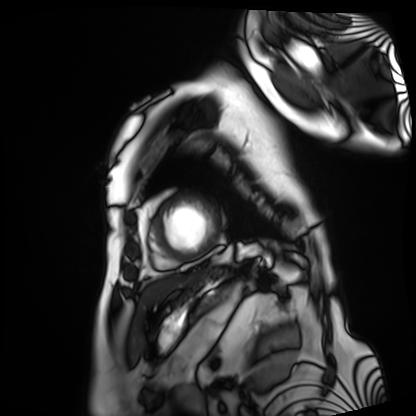
Summary: Cardiac MRI. Subject group: patient.